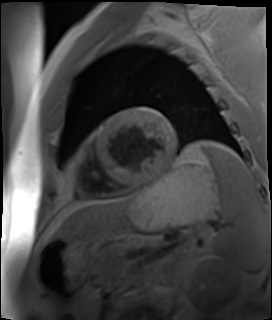
– modality — cardiac MR image of the myocardium
– subject cohort — cardiac patient